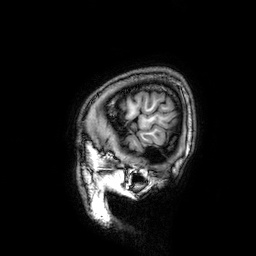
modality = 3 Tesla brain MRI | series = 3D T1-weighted | study = ring-enhancing brain masses.